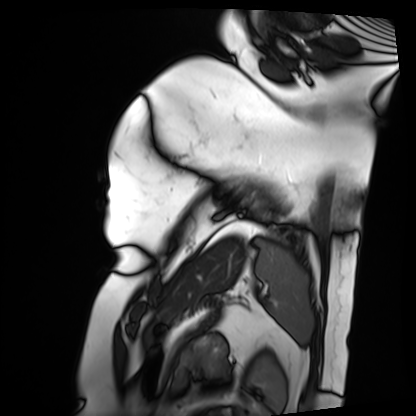
Cardiac MRI. Subject group: patient.